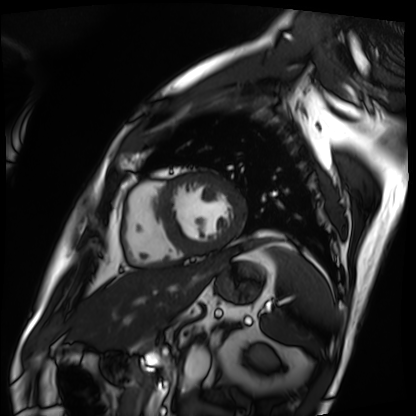
  modality: cardiac MRI
  cohort: patient